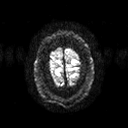
Q: What kind of scan is this?
A: 3 Tesla brain MRI.
Q: Series?
A: Diffusion tensor imaging (medium iso).
Study: ring-enhancing brain masses.